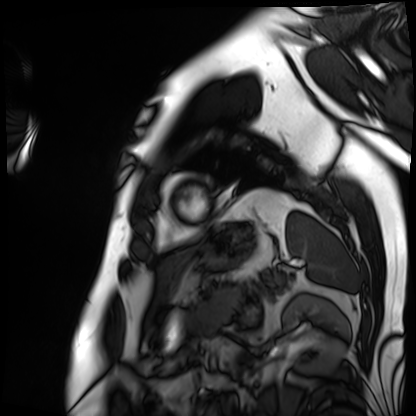
Case summary:
Cardiac MRI. Subject group: patient.